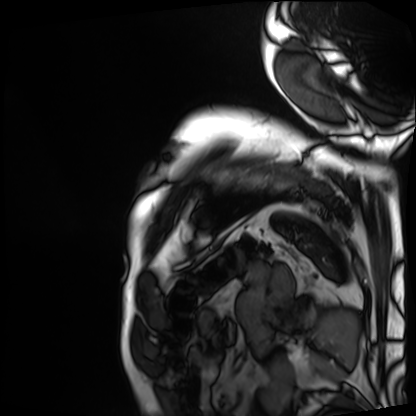
Q: What kind of scan is this?
A: Cardiac MRI.
Subject group: patient.